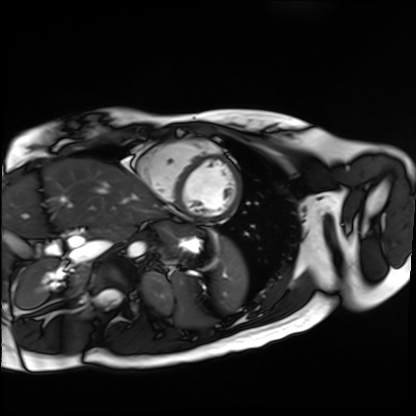
Cardiac MR image of the myocardium. Subject cohort: healthy volunteer.